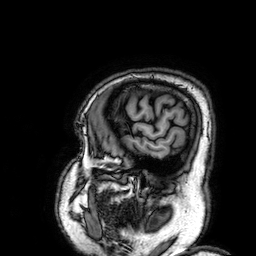
modality = 3 Tesla brain MRI
series = 3D T1-weighted
study = ring-enhancing brain masses